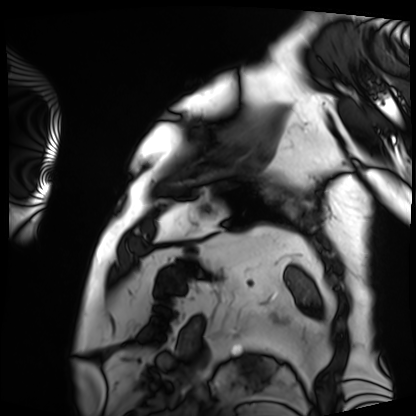
{"modality": "cardiac MRI", "cohort": "patient"}